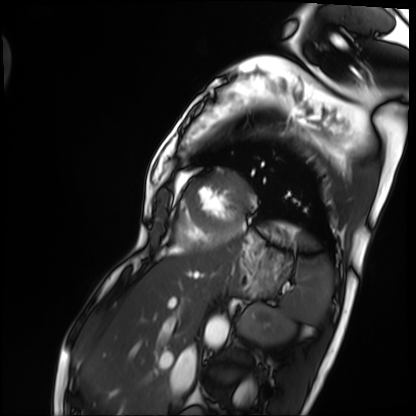
Cardiac MRI.
Subject group: patient.